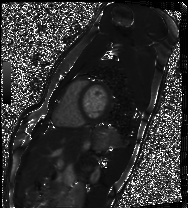
Cardiac MRI.
Subject group: healthy volunteer.